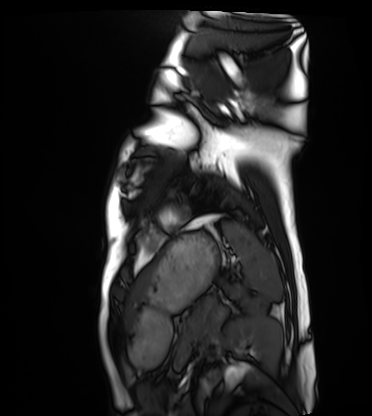
  modality: cardiac MRI
  cohort: healthy volunteer